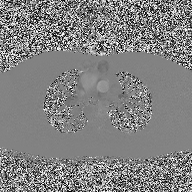
2D phase-contrast cine MRI of the ascending aorta, high-resolution GRAPPA acquisition.